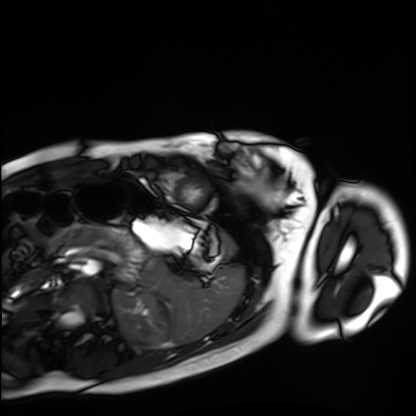
Cardiac MRI.
Subject group: healthy volunteer.